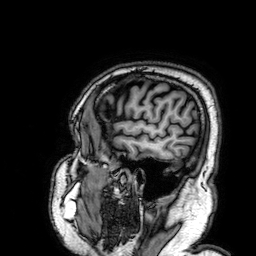
Case summary:
3 Tesla brain MRI. Series: 3D T1-weighted. Study: ring-enhancing brain masses.